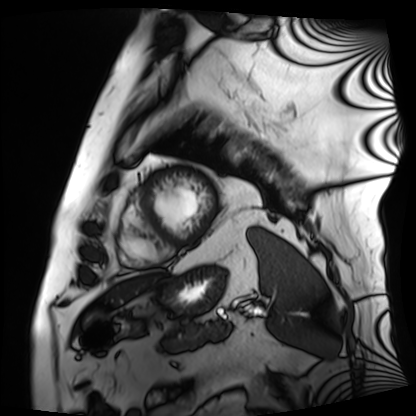
Cardiac MRI. Subject group: patient.